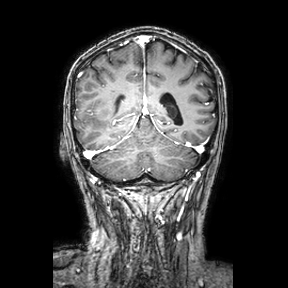
3 Tesla brain MRI.
Series: coronal.
Study: ring-enhancing brain masses.